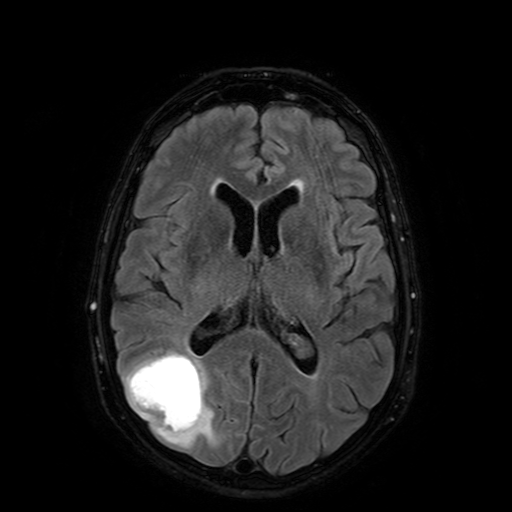
Summary:
3 Tesla brain MRI. Series: FLAIR with SPAIR. Study: ring-enhancing brain masses.